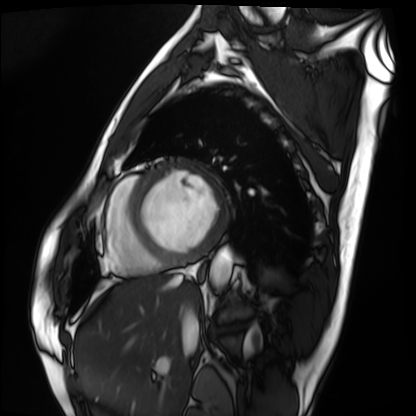
Case:
• modality · cardiac MRI
• subject group · patient